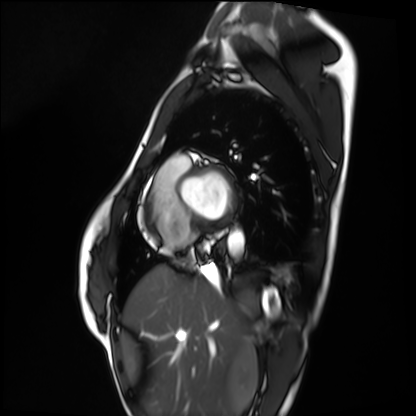
- modality — cardiac MRI
- subject group — healthy volunteer